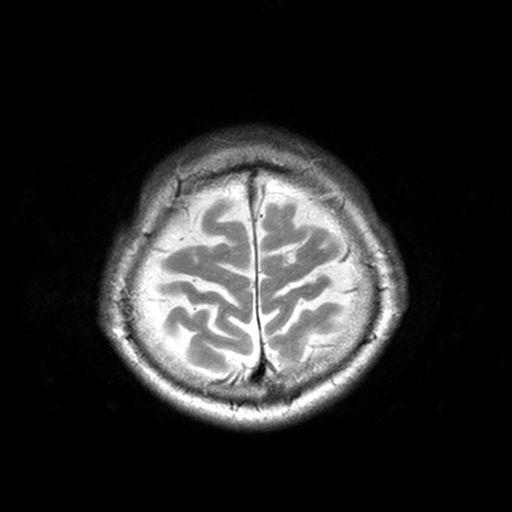
modality = 3 Tesla brain MRI; series = T2-weighted turbo spin echo, 3 mm; study = ring-enhancing brain masses.